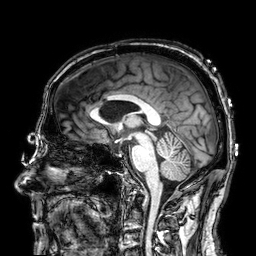
* modality · 3 Tesla brain MRI
* series · 3D T1-weighted
* study · ring-enhancing brain masses